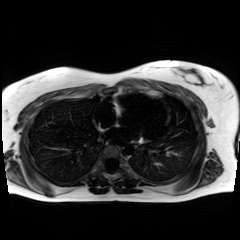
Chemical-shift-encoded cardiac MRI.